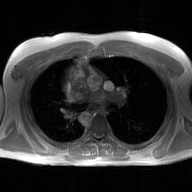
Q: What kind of scan is this?
A: 2D phase-contrast cine MRI of the ascending aorta, GAN super-resolution reconstruction.